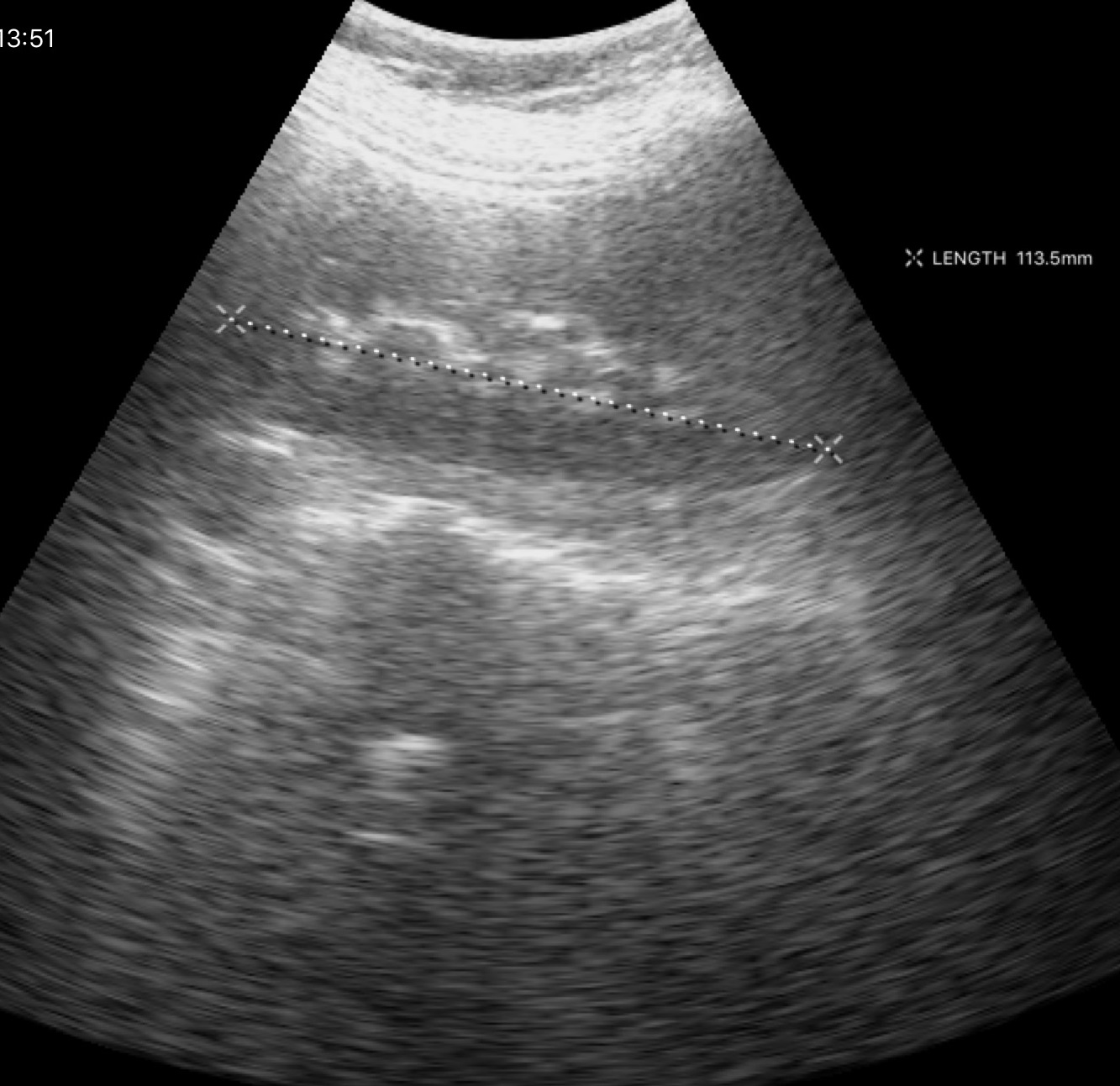
Summary:
Genitourinary ultrasound.